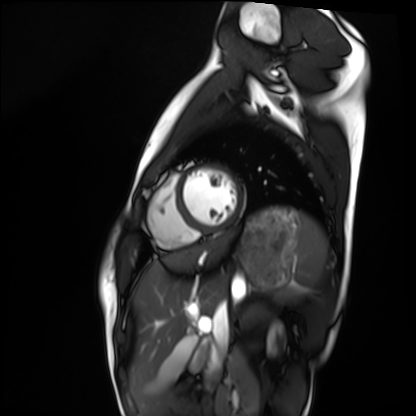
modality=cardiac MRI | subject group=healthy volunteer.